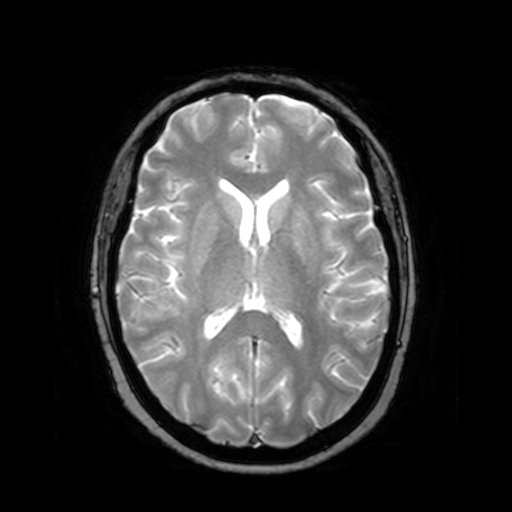
Case summary:
3 Tesla brain MRI. Series: T2-weighted fast field echo. Study: ring-enhancing brain masses.